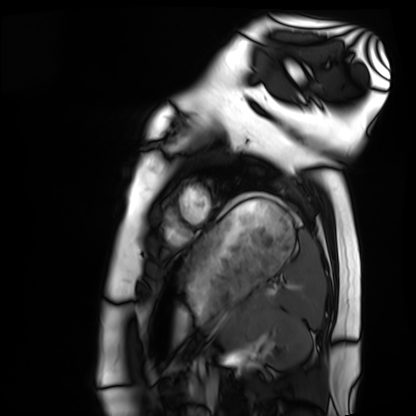
modality = cardiac MRI; subject group = healthy volunteer.